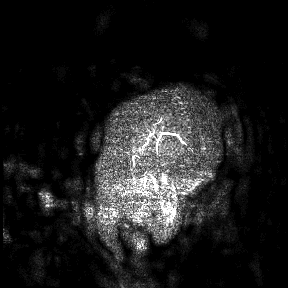
Case summary: 3 Tesla brain MRI. Study: ring-enhancing brain masses.